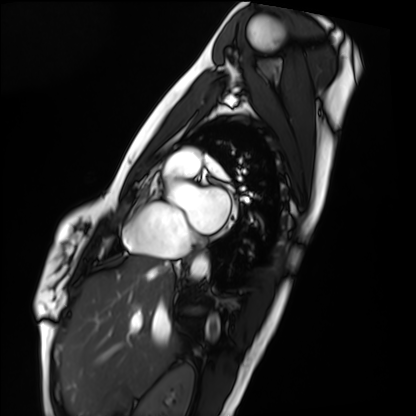
| field | value |
|---|---|
| modality | cardiac MRI |
| subject group | healthy volunteer |